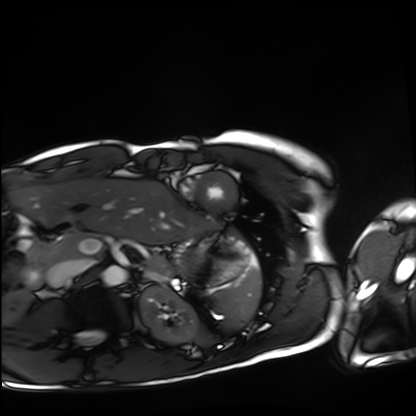
<case>
  <modality>cardiac MRI</modality>
  <cohort>healthy volunteer</cohort>
</case>